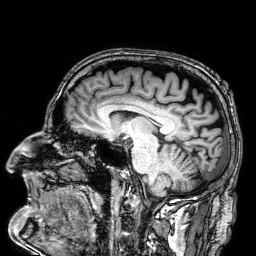
– modality — 3 Tesla brain MRI
– series — 3D T1-weighted
– study — ring-enhancing brain masses